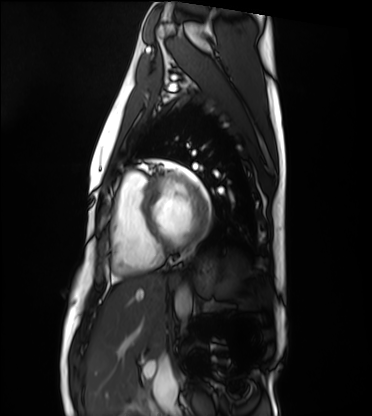
- modality: cardiac MRI
- subject group: healthy volunteer